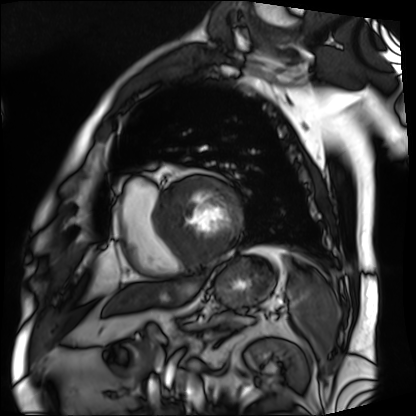
Q: What kind of scan is this?
A: Cardiac MRI.
Subject group: patient.